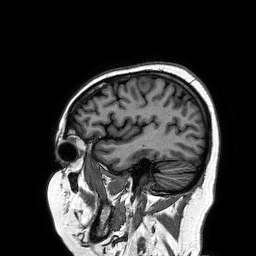
Summary:
3 Tesla brain MRI. Study: ring-enhancing brain masses.